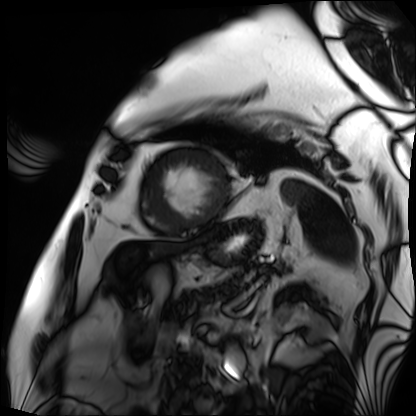
modality = cardiac MRI
subject group = patient